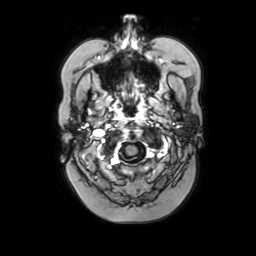
Clinical context: 3 Tesla brain MRI. Series: axial with contrast. Study: ring-enhancing brain masses.